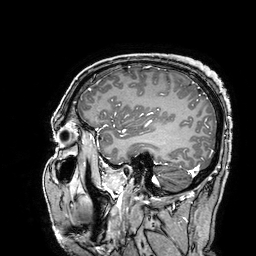
<study>
  <modality>
    <type>brain MRI</type>
    <field_strength>3T</field_strength>
  </modality>
  <study_topic>ring-enhancing brain masses</study_topic>
</study>